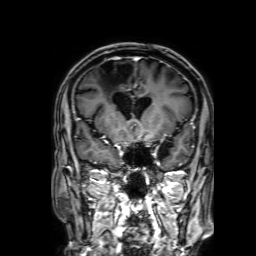
modality — 3 Tesla brain MRI | series — 3D T1-weighted with SENSE | study — ring-enhancing brain masses.